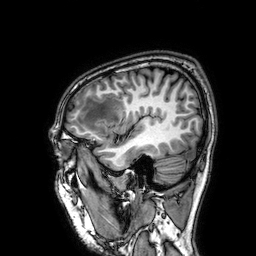
Q: What kind of scan is this?
A: 3 Tesla brain MRI.
Q: Series?
A: 3D T1-weighted.
Study: ring-enhancing brain masses.